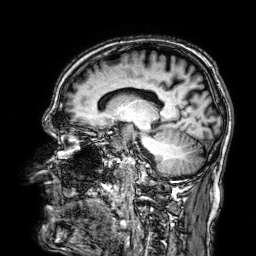
3 Tesla brain MRI.
Series: 3D T1-weighted.
Study: ring-enhancing brain masses.